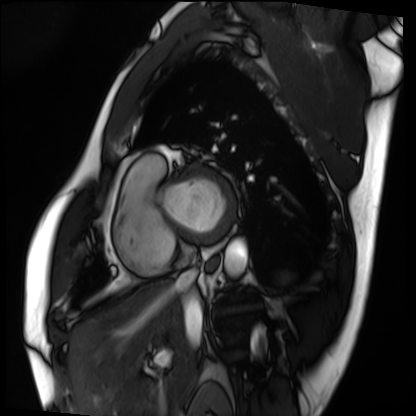
Cardiac MRI. Subject group: patient.